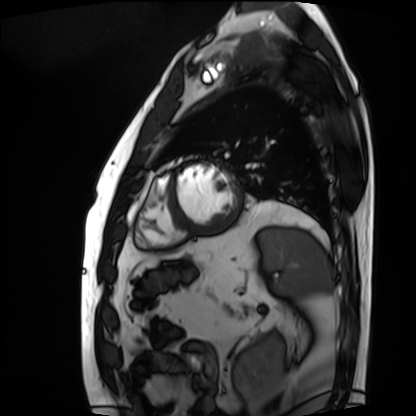
Cardiac MRI.
Subject group: patient.